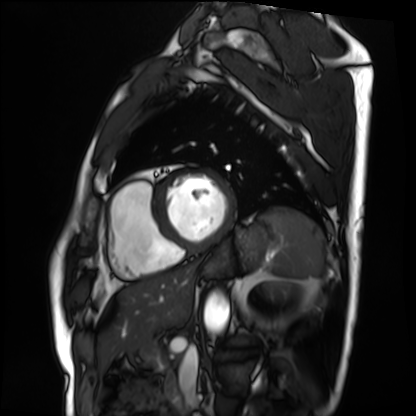
modality = cardiac MRI | subject group = patient.